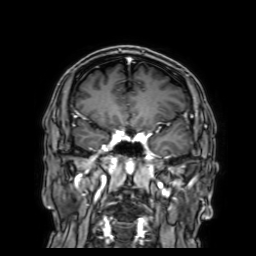
Clinical context:
3 Tesla brain MRI. Series: 3D T1-weighted with SENSE. Study: ring-enhancing brain masses.